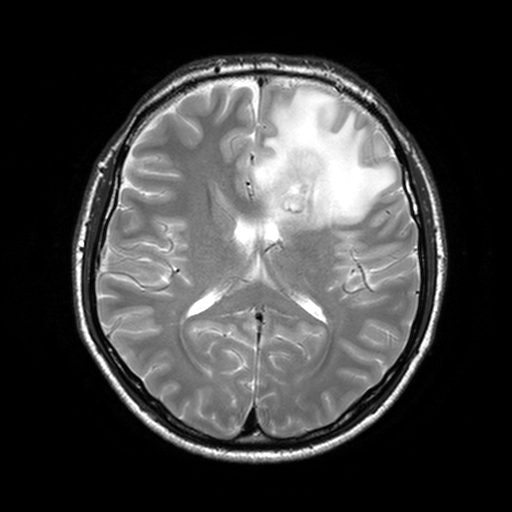
modality — 3 Tesla brain MRI
series — T2-weighted turbo spin echo, 3 mm
study — ring-enhancing brain masses